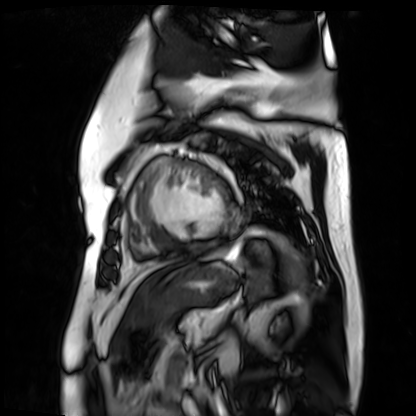
Cardiac MR image of the myocardium. Subject cohort: cardiac patient.